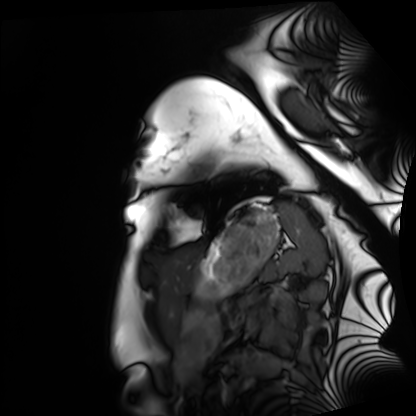
- modality: cardiac MRI
- subject group: healthy volunteer